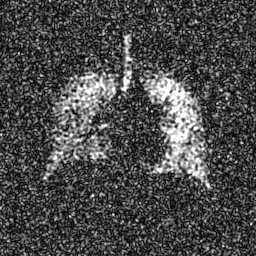
Q: What kind of scan is this?
A: Hyperpolarized 129Xe ventilation MRI of the lungs.
Q: SNR level?
A: 8 of 8 (the deposit holds this scan as its native image and as seven SNR-degraded versions).